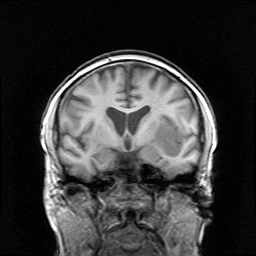
Summary:
3 Tesla brain MRI. Series: survey. Study: ring-enhancing brain masses.